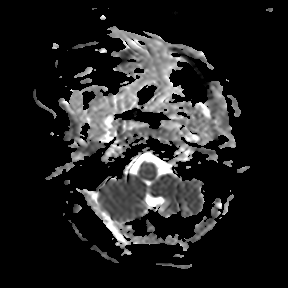
Clinical context:
3 Tesla brain MRI. Series: apparent diffusion coefficient (ADC) map. Study: ring-enhancing brain masses.